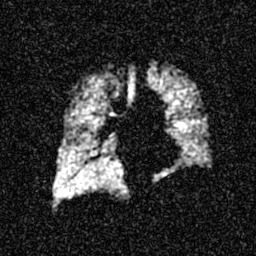
  modality: hyperpolarized 129Xe ventilation MRI of the lungs
  snr_level: 4 of 8 (the deposit holds this scan as its native image and as seven SNR-degraded versions)